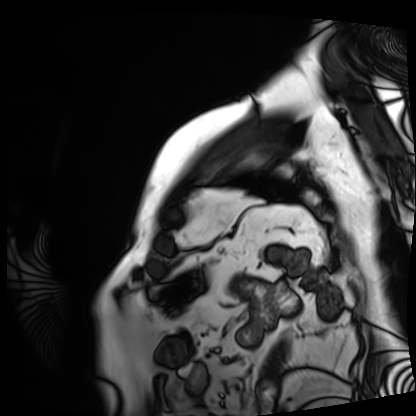
modality: cardiac MRI, subject group: patient.